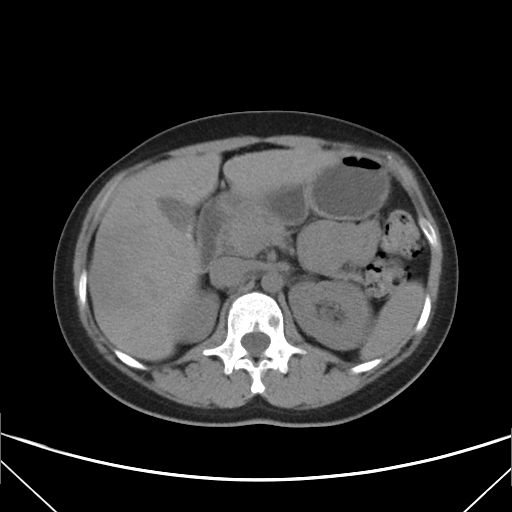
Summary: Multiphase abdominal CT, liver, non-contrast phase. Patient: female, age 33. History: viral hepatitis.